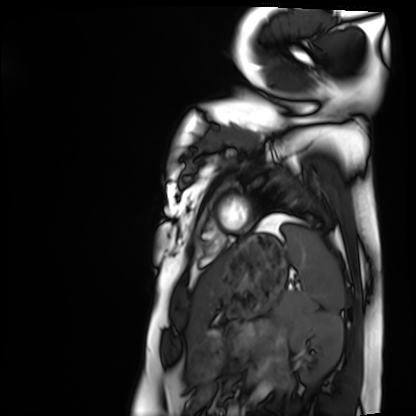
modality = cardiac MRI
subject group = healthy volunteer